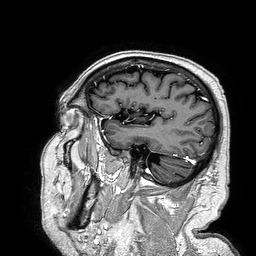
- modality · 3 Tesla brain MRI
- series · 3D T1-weighted turbo field echo
- study · ring-enhancing brain masses